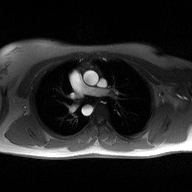
modality: 2D phase-contrast cine MRI of the ascending aorta.